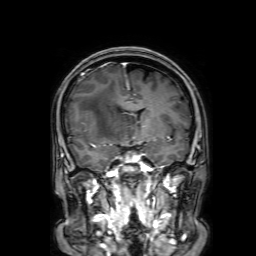
Q: What kind of scan is this?
A: 3 Tesla brain MRI.
Q: Series?
A: 3D T1-weighted with SENSE.
Study: ring-enhancing brain masses.